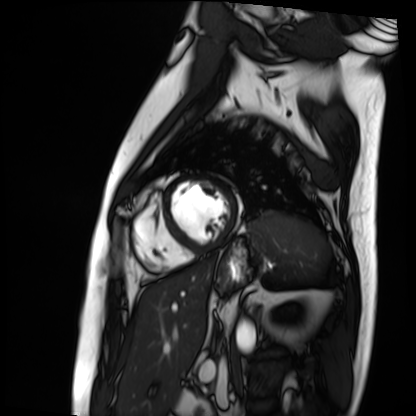
modality — cardiac MRI
subject group — patient